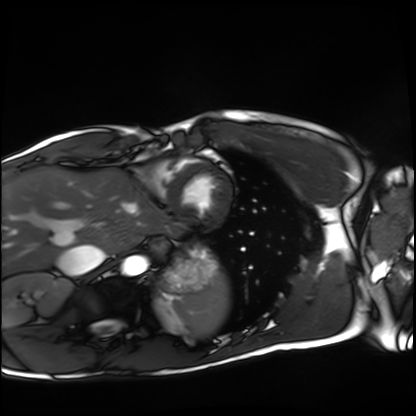
| field | value |
|---|---|
| modality | cardiac MRI |
| subject group | healthy volunteer |